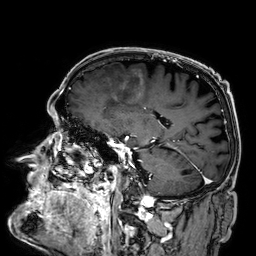
3 Tesla brain MRI. Series: 3D T1-weighted. Study: ring-enhancing brain masses.